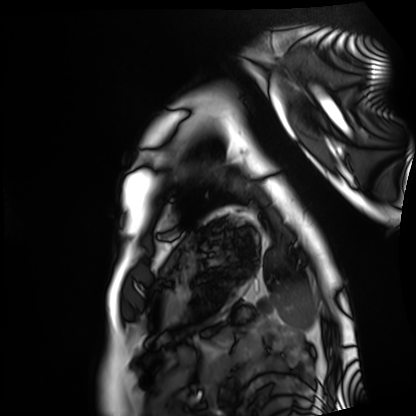
Cardiac MRI. Subject group: healthy volunteer.